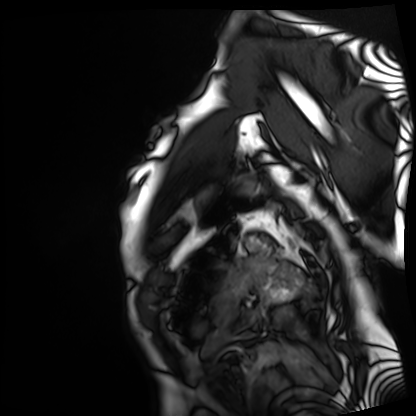
{"modality": "cardiac MRI", "cohort": "patient"}